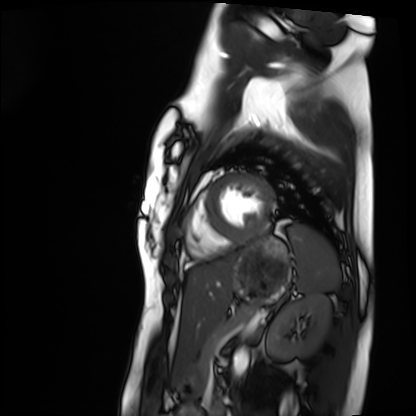
modality: cardiac MRI
subject group: healthy volunteer